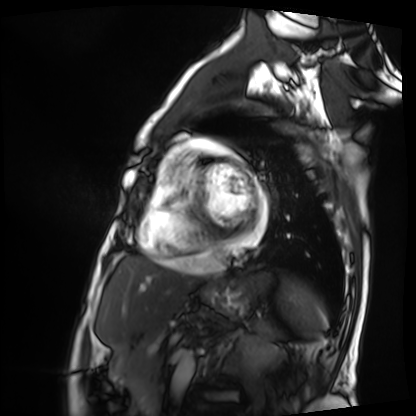
Summary: Cardiac MRI. Subject group: patient.